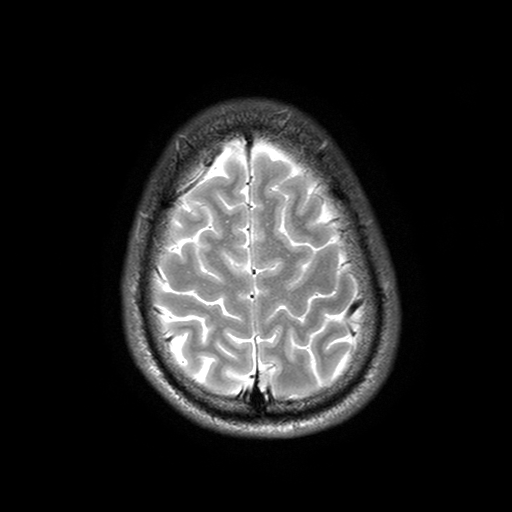
3 Tesla brain MRI. Series: T2-weighted turbo spin echo with SENSE. Study: ring-enhancing brain masses.